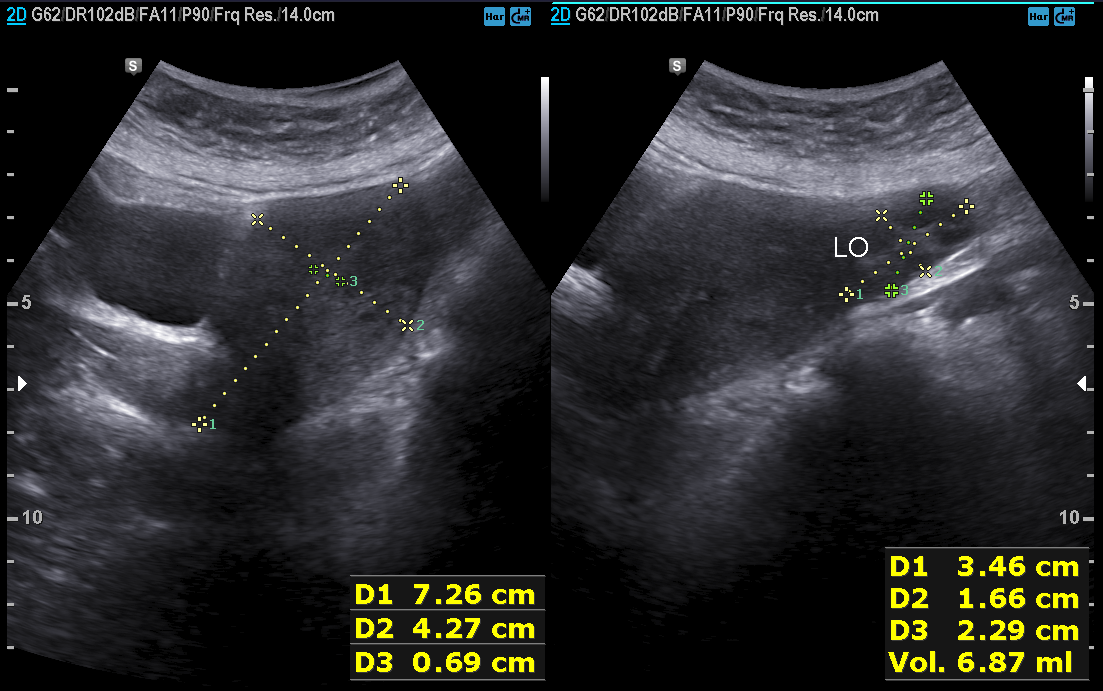
Clinical context: Genitourinary ultrasound.